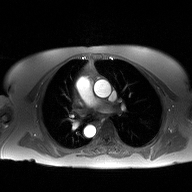
modality = 2D phase-contrast cine MRI of the ascending aorta.